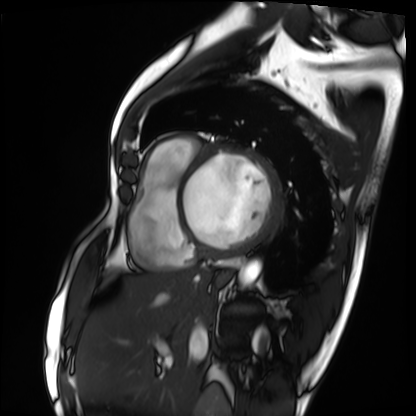
Clinical context:
Cardiac MRI. Subject group: patient.